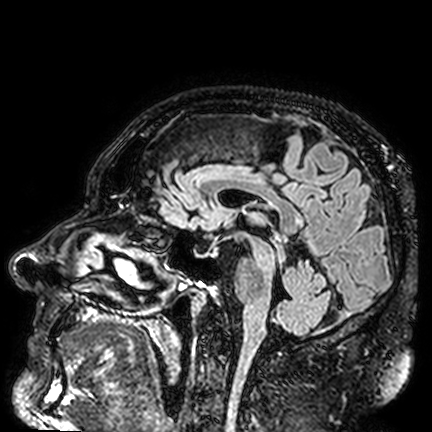
Clinical context:
3 Tesla brain MRI. Series: FLAIR VISTA. Study: ring-enhancing brain masses.